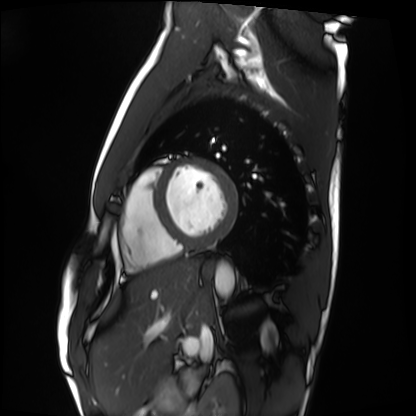
modality=cardiac MRI | subject group=healthy volunteer.